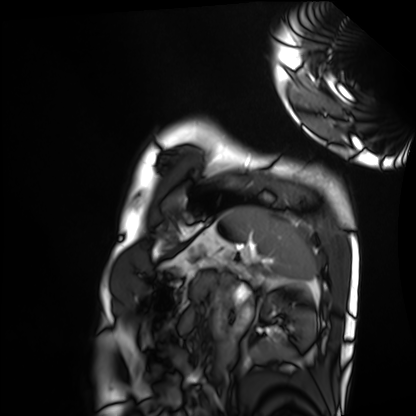
Case summary: Cardiac MRI. Subject group: healthy volunteer.